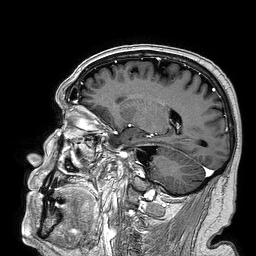
modality=3 Tesla brain MRI; series=3D T1-weighted turbo field echo; study=ring-enhancing brain masses.